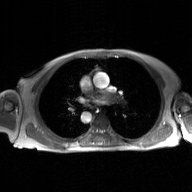
- modality: 2D phase-contrast cine MRI of the ascending aorta, GAN super-resolution reconstruction